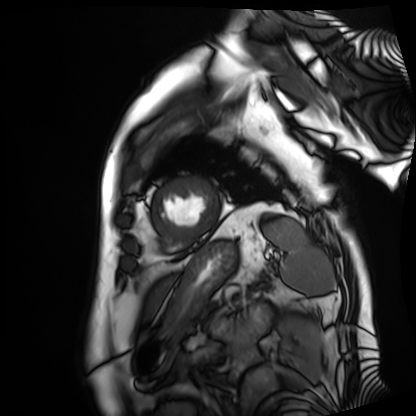
Summary: Cardiac MRI. Subject group: patient.